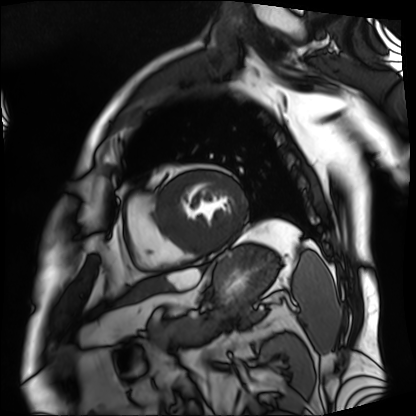
Summary: Cardiac MRI. Subject group: patient.